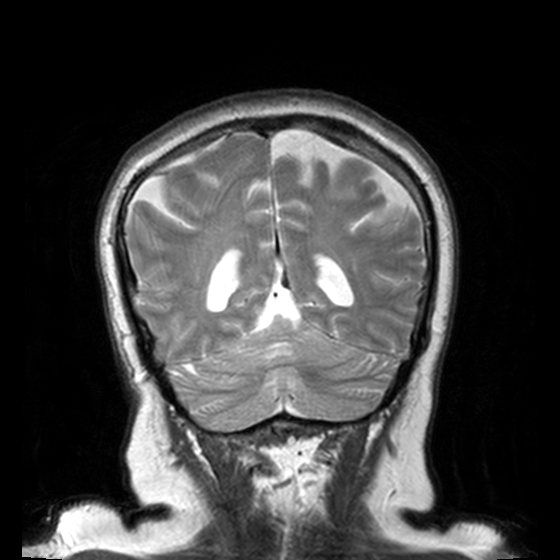
3 Tesla brain MRI. Series: T2-weighted turbo spin echo, 3 mm. Study: ring-enhancing brain masses.